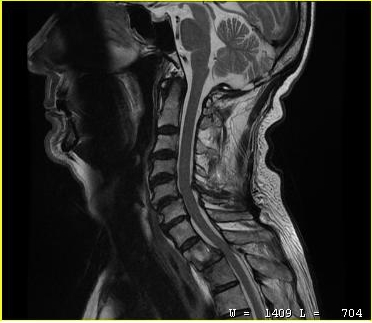
modality: MRI of the cervical spine | study: cervical spondylosis.